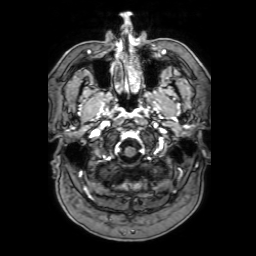
- modality: 3 Tesla brain MRI
- series: 3D T1-weighted with SENSE
- study: ring-enhancing brain masses